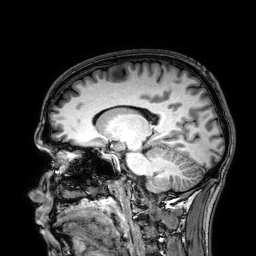
modality = 3 Tesla brain MRI
series = 3D T1-weighted
study = ring-enhancing brain masses